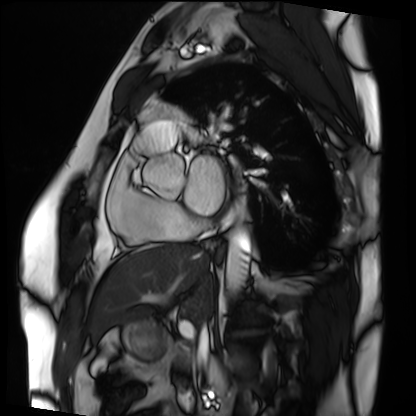
modality = cardiac MRI, subject group = patient.